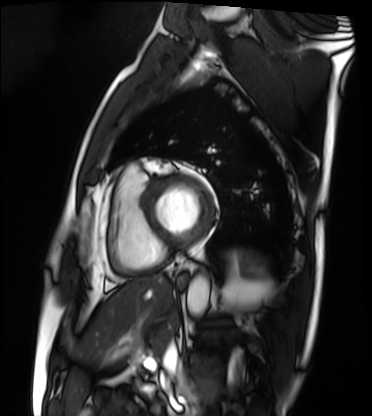
Summary: Cardiac MRI. Subject group: patient.